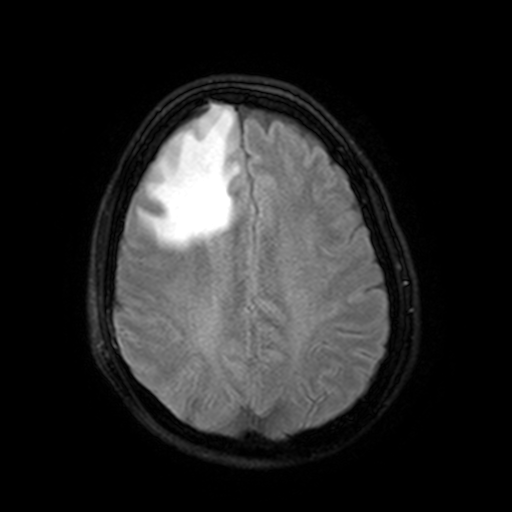
Q: What kind of scan is this?
A: 3 Tesla brain MRI.
Q: Series?
A: FLAIR with SPAIR, 3 mm.
Study: ring-enhancing brain masses.